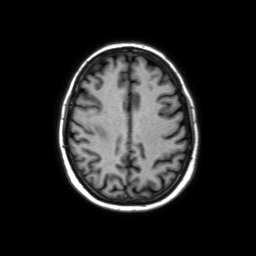
- modality · 3 Tesla brain MRI
- series · axial without contrast
- study · ring-enhancing brain masses